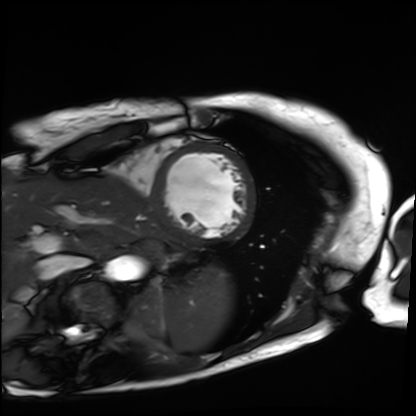
Case:
* modality — cardiac MRI
* subject group — patient